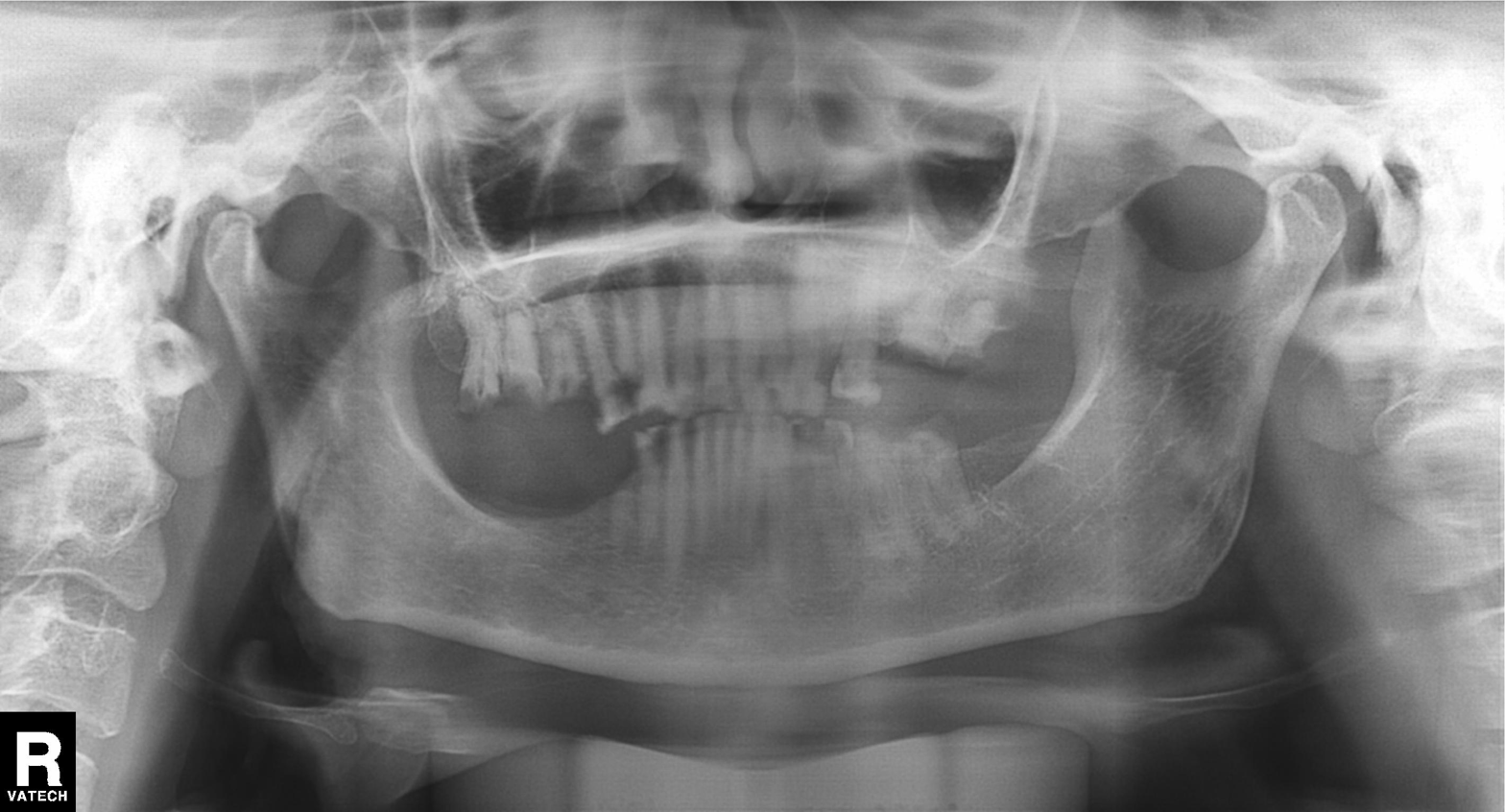
* modality: panoramic dental radiograph (orthopantomogram)
* finding: alveolar bone loss